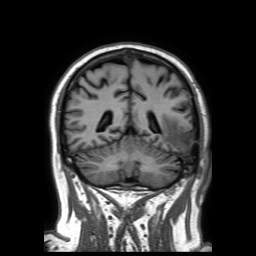
3 Tesla brain MRI.
Series: 3D T1-weighted TFE with SENSE.
Study: ring-enhancing brain masses.